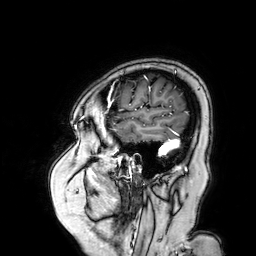
3 Tesla brain MRI. Series: 3D T1-weighted turbo field echo with SENSE. Study: ring-enhancing brain masses.